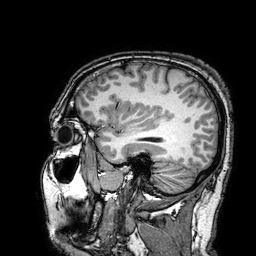
• modality: 3 Tesla brain MRI
• series: 3D T1-weighted turbo field echo with SENSE
• study: ring-enhancing brain masses